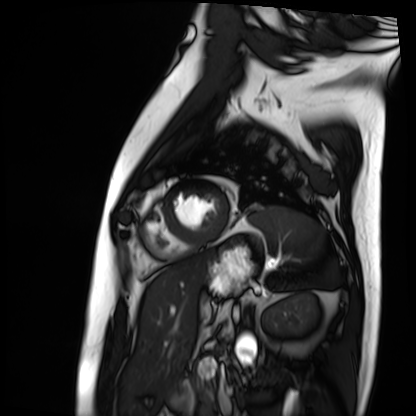
| field | value |
|---|---|
| modality | cardiac MRI |
| subject group | patient |